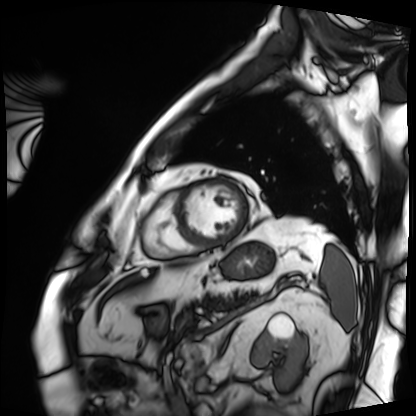
Cardiac MRI. Subject group: patient.